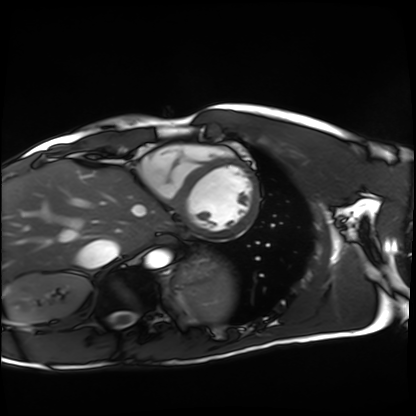
modality: cardiac MRI; subject group: healthy volunteer.